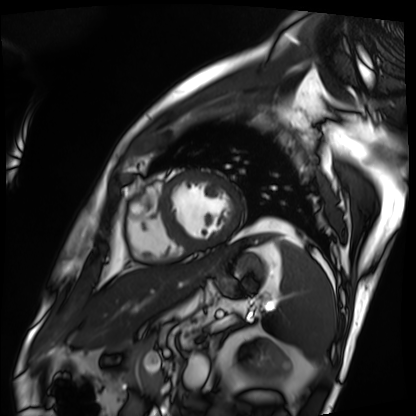
Cardiac MRI. Subject group: patient.